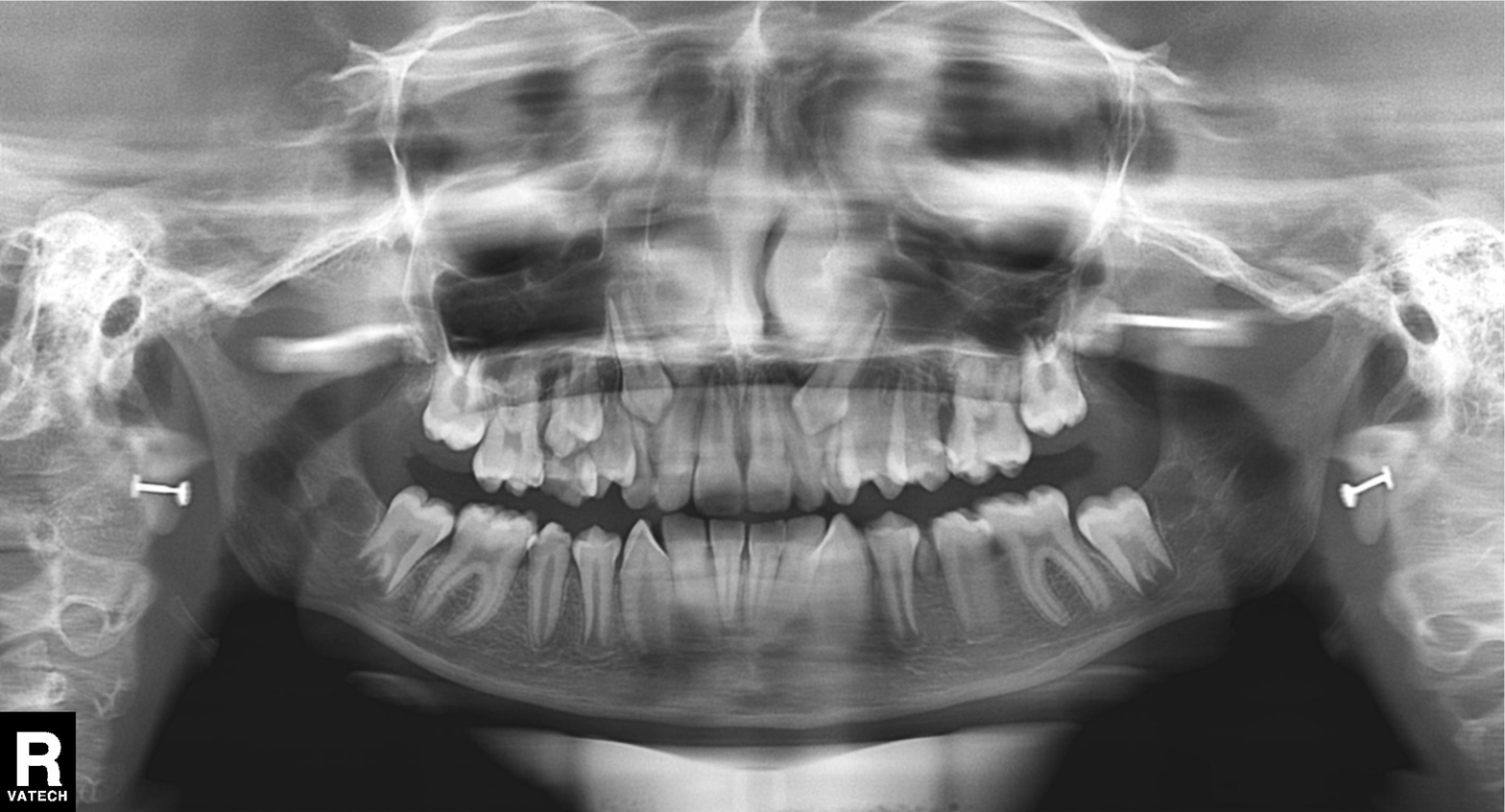
| field | value |
|---|---|
| modality | panoramic dental radiograph (orthopantomogram) |
| finding | alveolar bone loss |